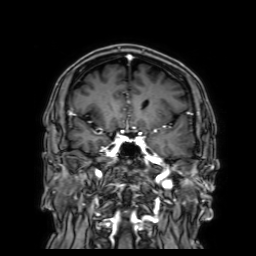
3 Tesla brain MRI. Study: ring-enhancing brain masses.